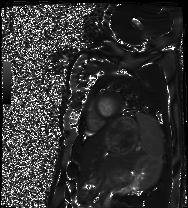
modality = cardiac MRI
subject group = healthy volunteer